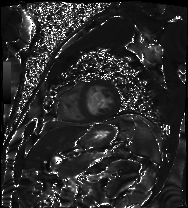
| field | value |
|---|---|
| modality | cardiac MRI |
| subject group | patient |